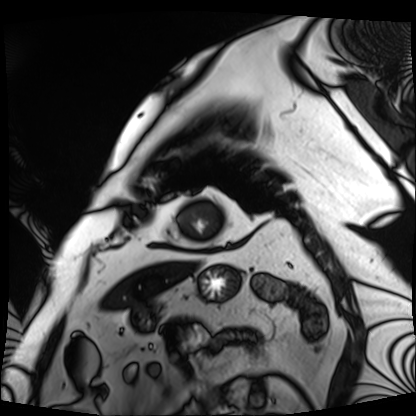
Cardiac MRI. Subject group: patient.